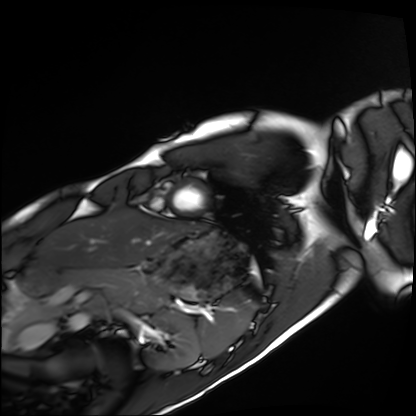
Clinical context:
Cardiac MRI. Subject group: healthy volunteer.